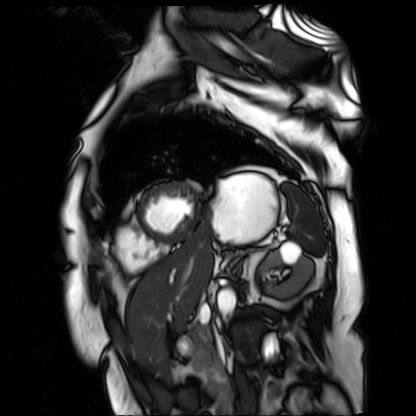
Cardiac MR image of the myocardium.
Subject cohort: cardiac patient.